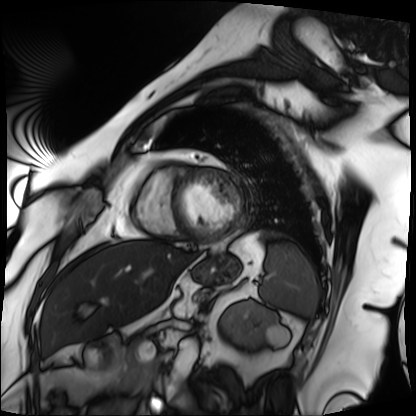
Cardiac MRI. Subject group: patient.